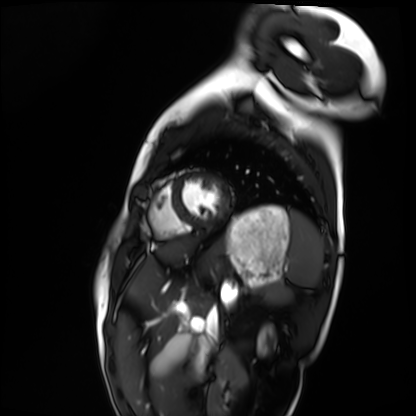
Cardiac MRI. Subject group: healthy volunteer.